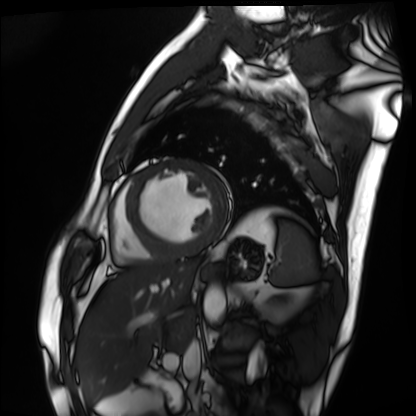
Cardiac MRI. Subject group: patient.